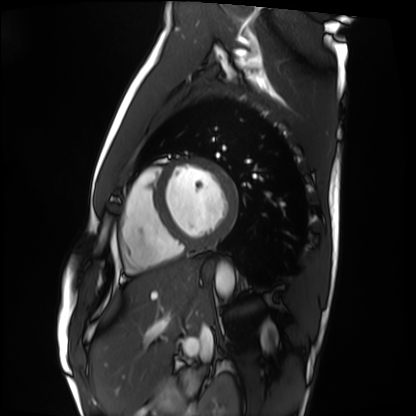
Q: What kind of scan is this?
A: Cardiac MRI.
Subject group: healthy volunteer.